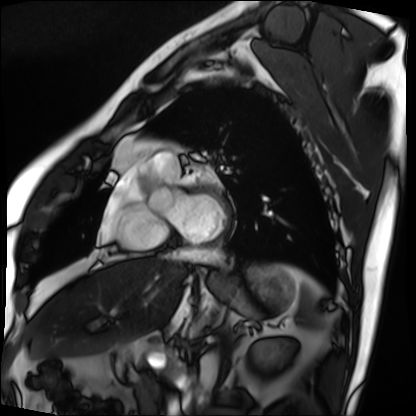
{
  "modality": "cardiac MRI",
  "cohort": "patient"
}